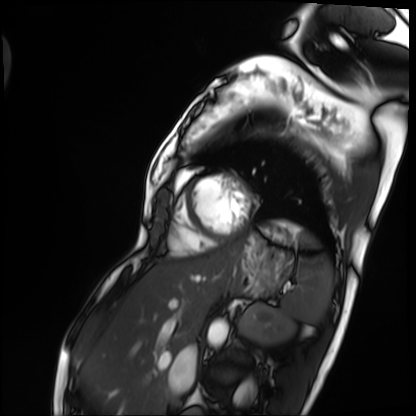
{
  "modality": "cardiac MRI",
  "cohort": "patient"
}